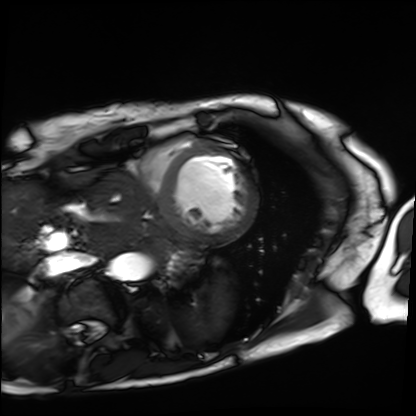
- modality — cardiac MRI
- subject group — patient